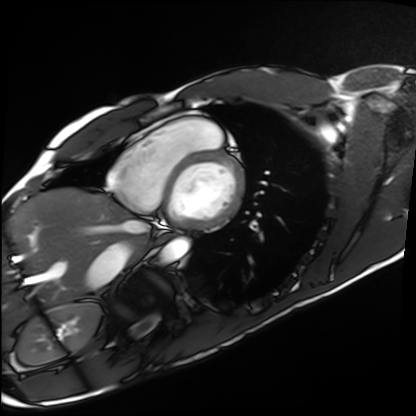
Cardiac MRI.
Subject group: healthy volunteer.